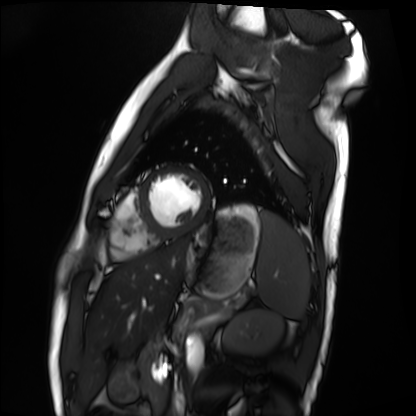
| field | value |
|---|---|
| modality | cardiac MRI |
| subject group | healthy volunteer |